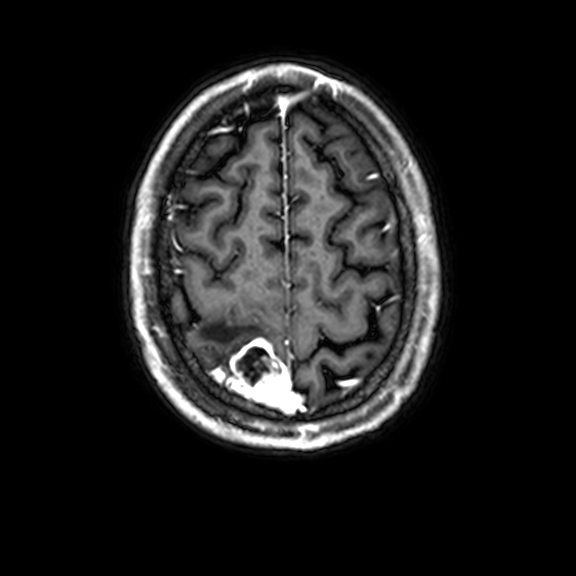
modality = 3 Tesla brain MRI; series = 3D T1-weighted with CLEAR; study = ring-enhancing brain masses.